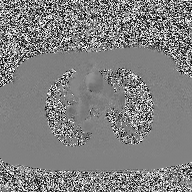
Q: What kind of scan is this?
A: 2D phase-contrast cine MRI of the ascending aorta.